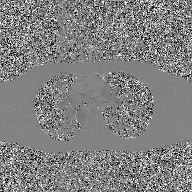
2D phase-contrast cine MRI of the ascending aorta, GAN super-resolution reconstruction.